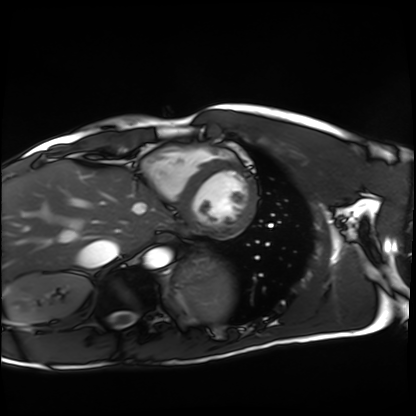
Clinical context:
Cardiac MRI. Subject group: healthy volunteer.